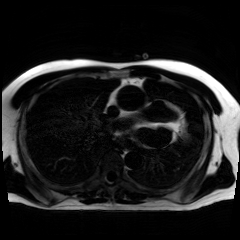
  modality: chemical-shift-encoded cardiac MRI